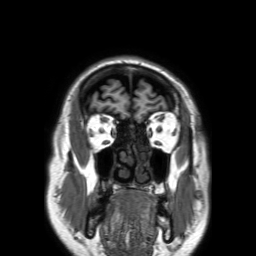
modality: 3 Tesla brain MRI; series: 3D T1-weighted TFE with SENSE; study: ring-enhancing brain masses.